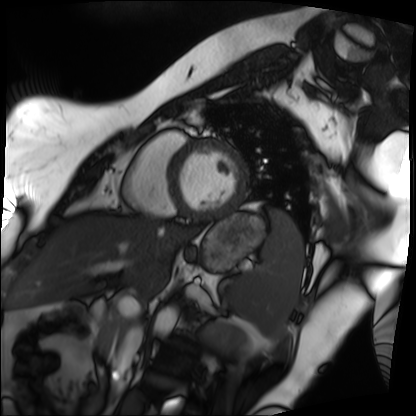
Cardiac MRI.
Subject group: patient.